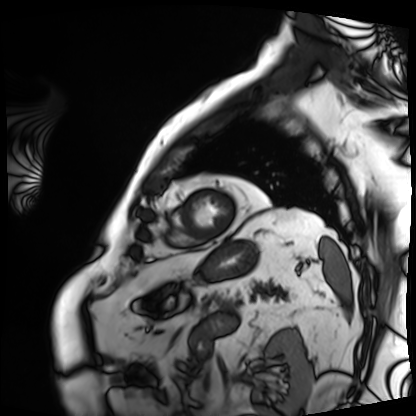
modality — cardiac MRI | subject group — patient.